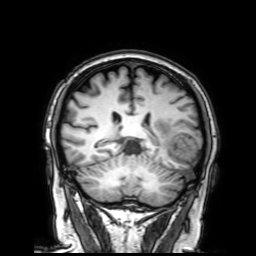
Summary: 3 Tesla brain MRI. Study: ring-enhancing brain masses.